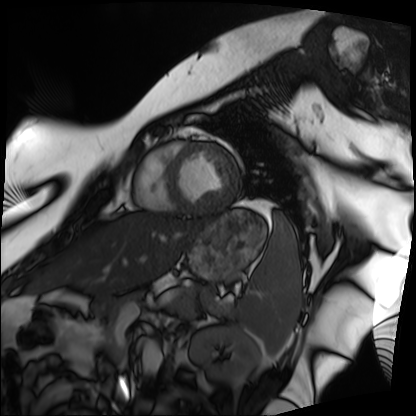
Cardiac MRI.
Subject group: patient.